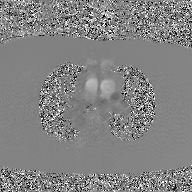
2D phase-contrast cine MRI of the ascending aorta, GAN super-resolution reconstruction.